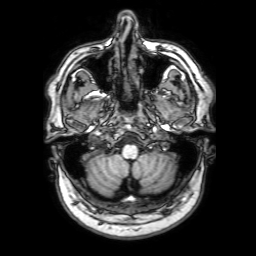
{"modality": {"type": "brain MRI", "field_strength": "3T"}, "series": "3D T1-weighted with SENSE", "study_topic": "ring-enhancing brain masses"}